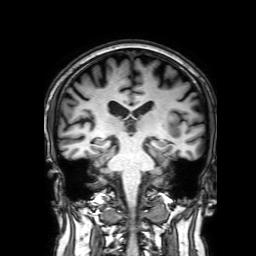
3 Tesla brain MRI. Series: 3D T1-weighted with SENSE. Study: ring-enhancing brain masses.